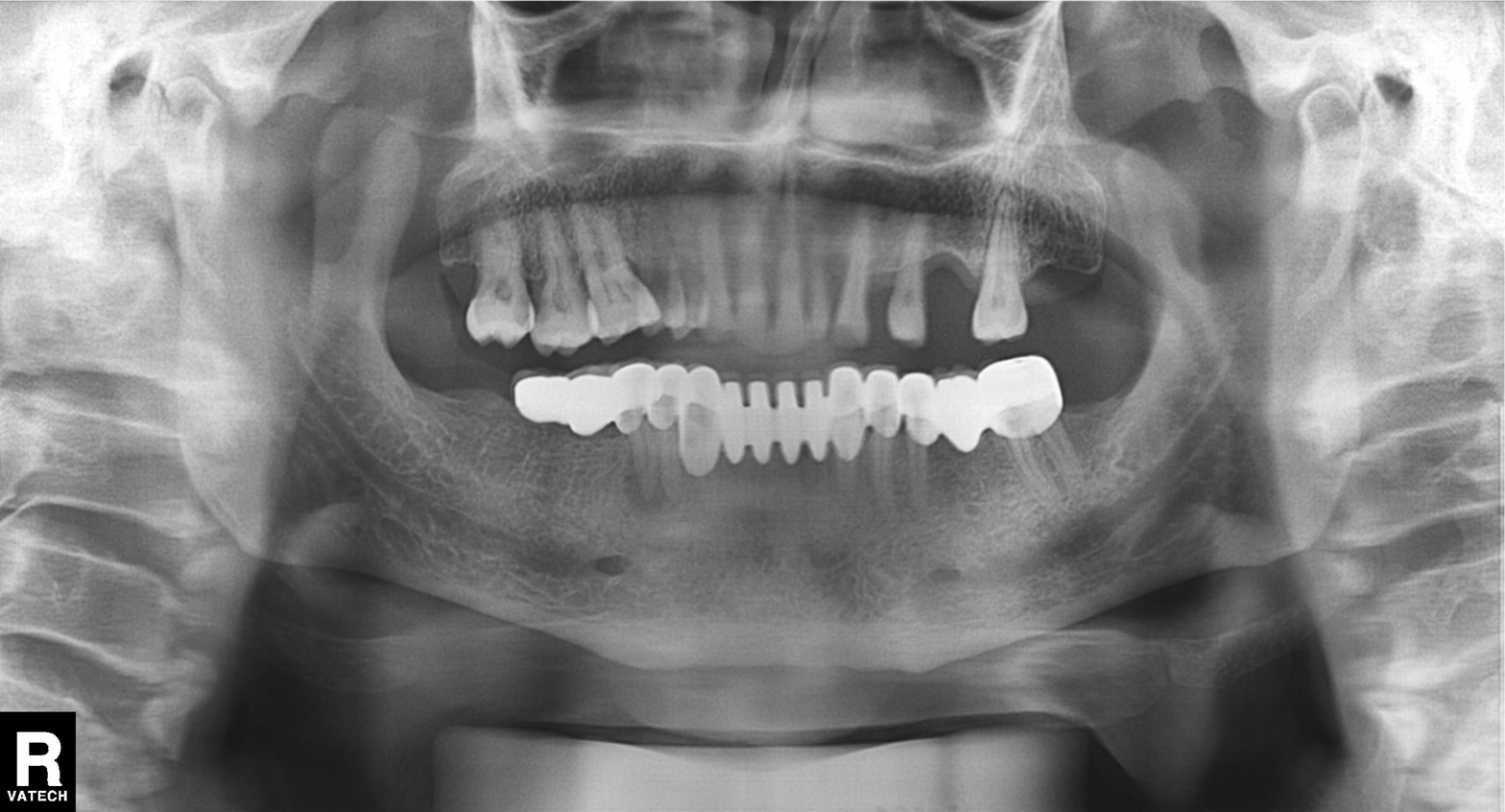
Clinical context: Panoramic dental radiograph (orthopantomogram).
Assessment: Dental caries (cavities).